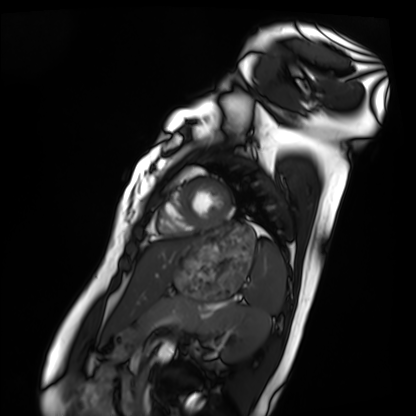
Cardiac MRI.
Subject group: healthy volunteer.